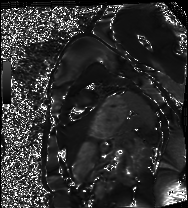
Cardiac MRI. Subject group: healthy volunteer.